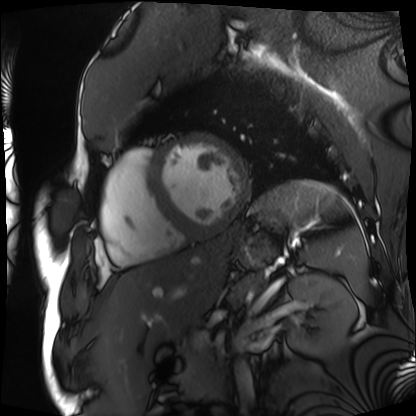
modality: cardiac MRI
subject group: patient